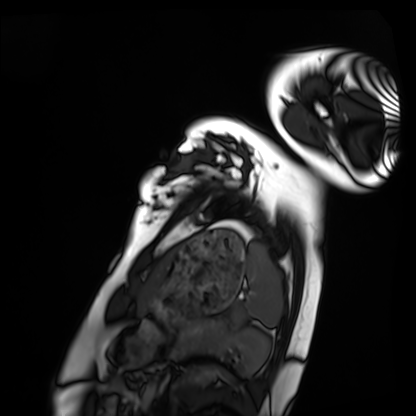
modality=cardiac MRI
subject group=healthy volunteer